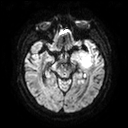
3 Tesla brain MRI. Series: diffusion tensor imaging (medium iso). Study: ring-enhancing brain masses.